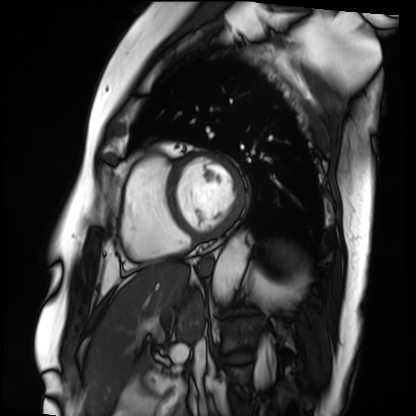
Cardiac MRI.
Subject group: patient.